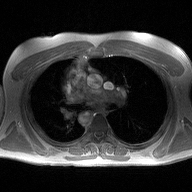
<record>
  <modality>
    <type>2D phase-contrast cine MRI</type>
    <region>ascending aorta</region>
    <reconstruction>high-resolution GRAPPA acquisition</reconstruction>
  </modality>
</record>